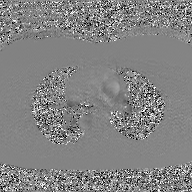
2D phase-contrast cine MRI of the ascending aorta, GAN super-resolution reconstruction.